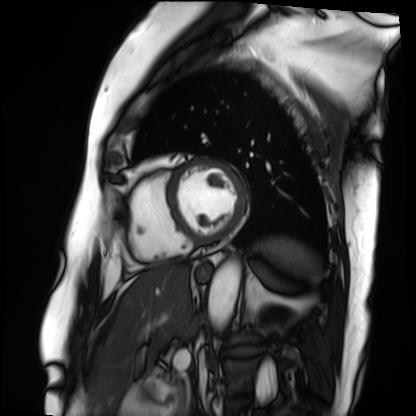
Summary: Cardiac MRI. Subject group: patient.